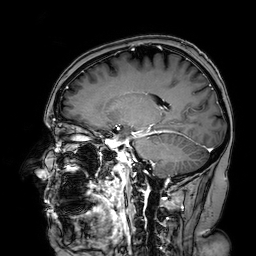
{"modality": {"type": "brain MRI", "field_strength": "3T"}, "series": "3D T1-weighted turbo field echo with SENSE", "study_topic": "ring-enhancing brain masses"}